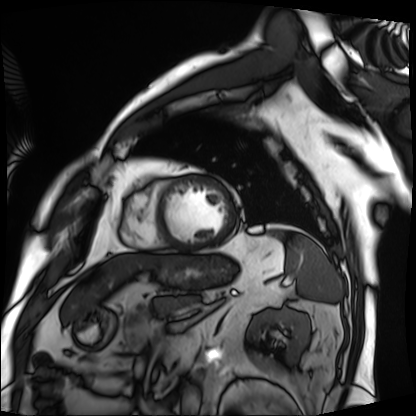
modality — cardiac MRI; subject group — patient.